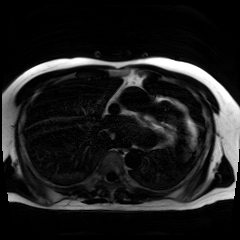
modality: chemical-shift-encoded cardiac MRI.